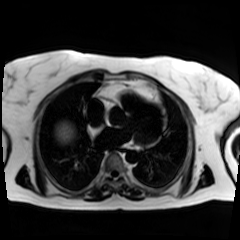
Clinical context: Chemical-shift-encoded cardiac MRI.